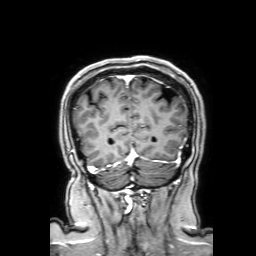
3 Tesla brain MRI. Series: 3D T1-weighted with SENSE. Study: ring-enhancing brain masses.